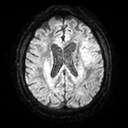
  modality:
    type: brain MRI
    field_strength: 3T
  series: diffusion tensor imaging (medium iso)
  study_topic: ring-enhancing brain masses